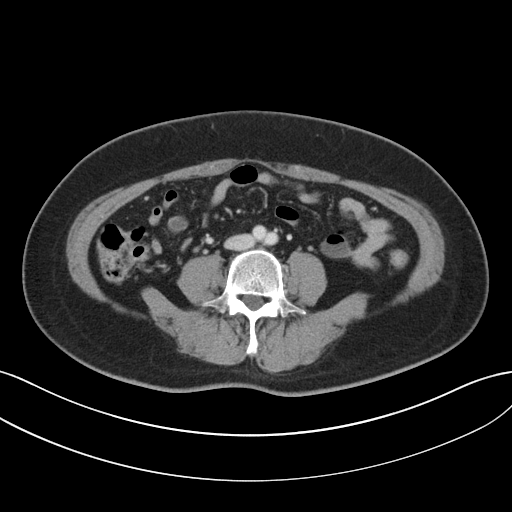
Summary:
Multiphase abdominal CT, liver, portal venous phase. Patient: female, age 55.